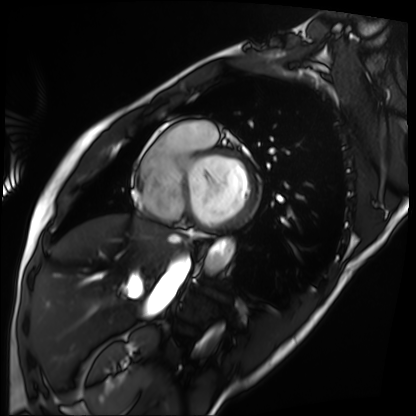
{"modality": "cardiac MRI", "cohort": "patient"}